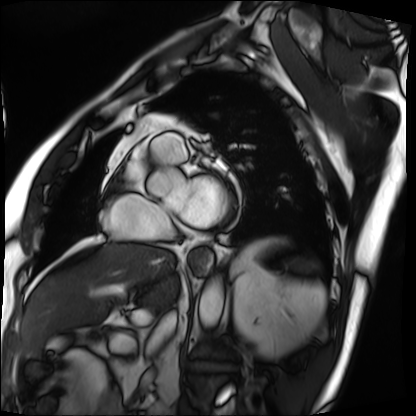
Cardiac MRI. Subject group: patient.